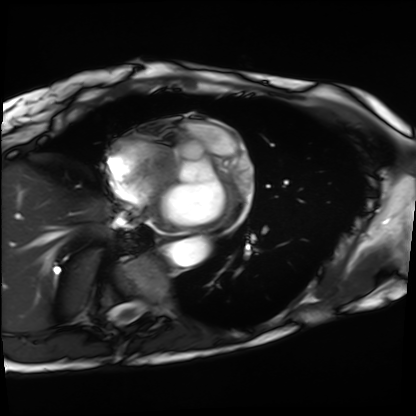
modality=cardiac MRI
subject group=patient